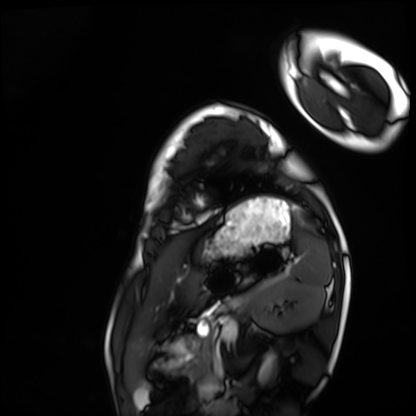
Cardiac MRI. Subject group: healthy volunteer.